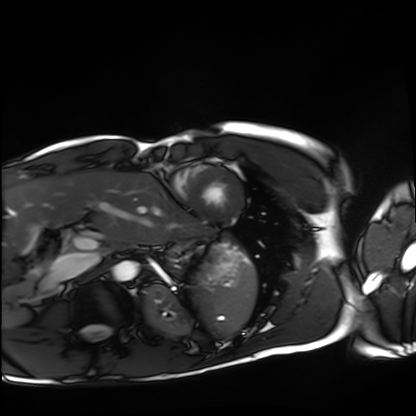
Cardiac MRI. Subject group: healthy volunteer.